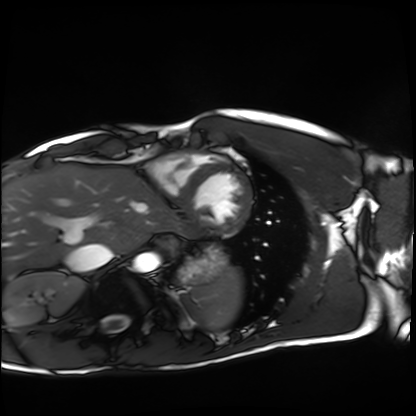
  modality: cardiac MRI
  cohort: healthy volunteer